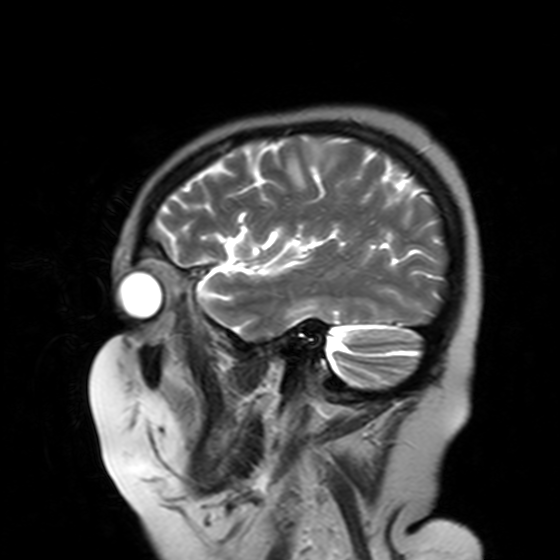
| field | value |
|---|---|
| modality | 3 Tesla brain MRI |
| study | ring-enhancing brain masses |